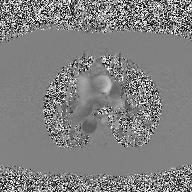
2D phase-contrast cine MRI of the ascending aorta, high-resolution GRAPPA acquisition.